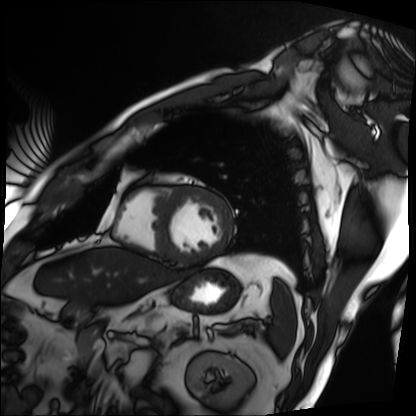
Cardiac MRI.
Subject group: patient.